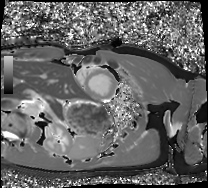
Q: What kind of scan is this?
A: Cardiac MRI.
Subject group: healthy volunteer.